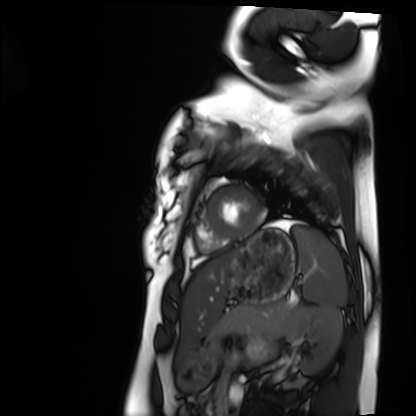
Cardiac MRI. Subject group: healthy volunteer.